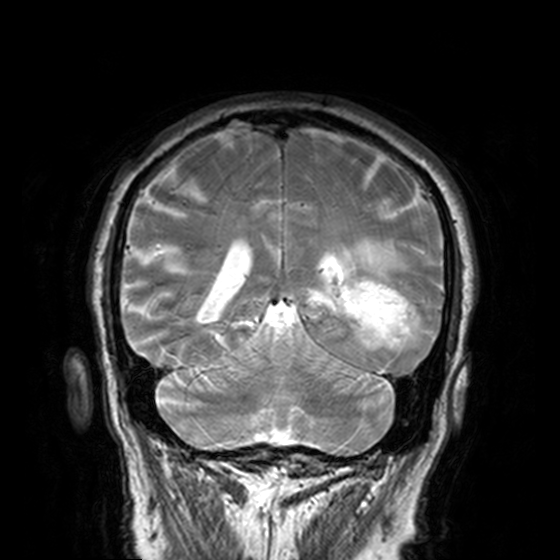
3 Tesla brain MRI. Series: T2-weighted turbo spin echo, 3 mm. Study: ring-enhancing brain masses.